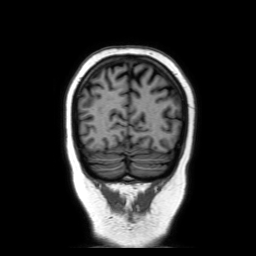
modality = 3 Tesla brain MRI | series = coronal without contrast | study = ring-enhancing brain masses.